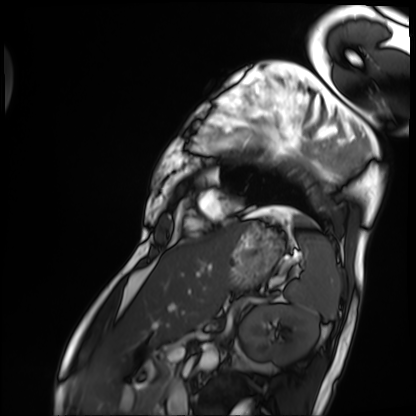
Cardiac MRI. Subject group: patient.